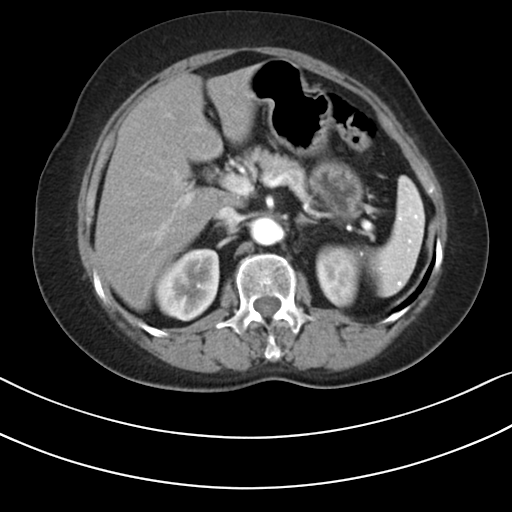
| field | value |
|---|---|
| modality | multiphase abdominal CT, liver, arterial phase |
| patient | female, age 68 |